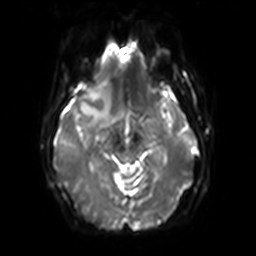
{
  "modality": {
    "type": "brain MRI",
    "field_strength": "3T"
  },
  "series": "diffusion-weighted imaging with SENSE (WIP)",
  "study_topic": "ring-enhancing brain masses"
}